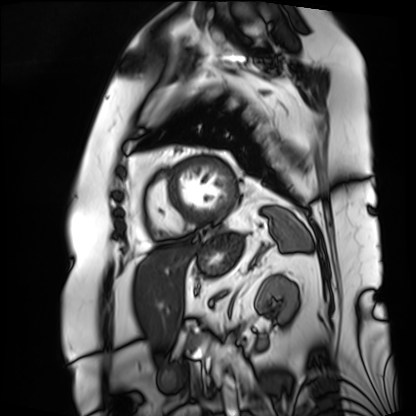
- modality: cardiac MRI
- subject group: patient